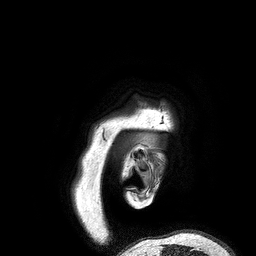
Case summary:
3 Tesla brain MRI. Study: ring-enhancing brain masses.